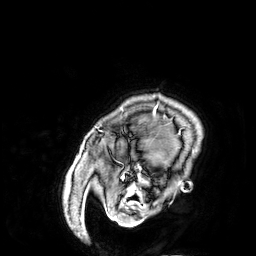
modality: 3 Tesla brain MRI; series: 3D T1-weighted; study: ring-enhancing brain masses.